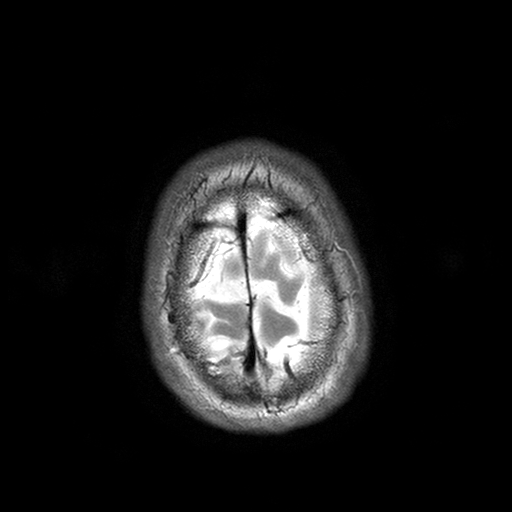
{
  "modality": {
    "type": "brain MRI",
    "field_strength": "3T"
  },
  "series": "T2-weighted turbo spin echo with SENSE",
  "study_topic": "ring-enhancing brain masses"
}